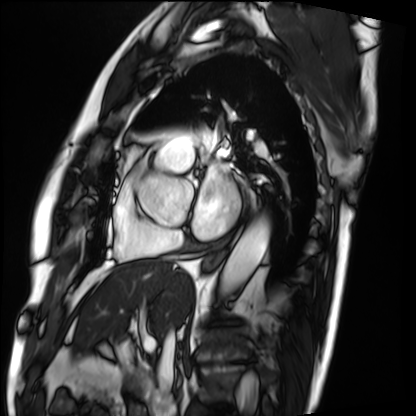
Summary: Cardiac MRI. Subject group: patient.